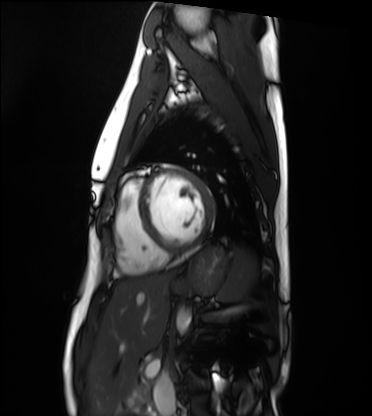
Cardiac MRI. Subject group: healthy volunteer.